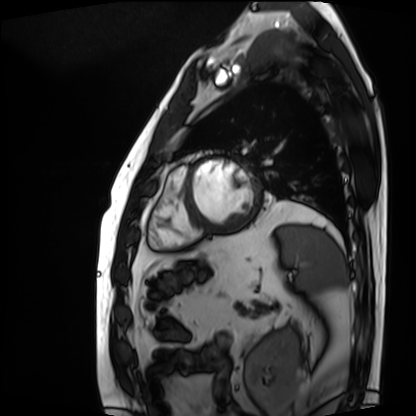
Q: What kind of scan is this?
A: Cardiac MRI.
Subject group: patient.